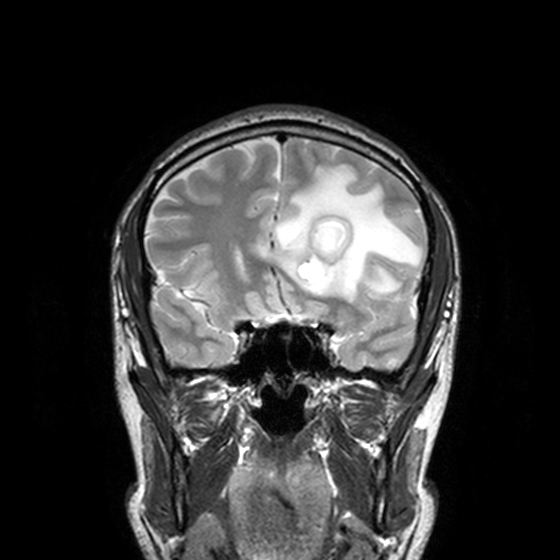
Q: What kind of scan is this?
A: 3 Tesla brain MRI.
Study: ring-enhancing brain masses.